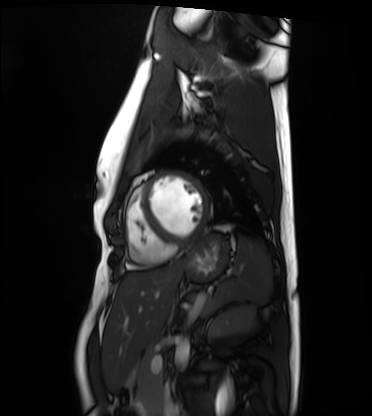
Cardiac MRI.
Subject group: healthy volunteer.